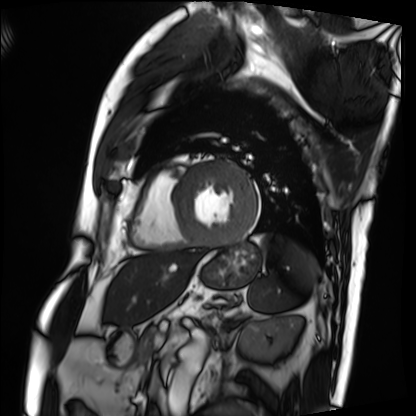
{"modality": "cardiac MRI", "cohort": "patient"}